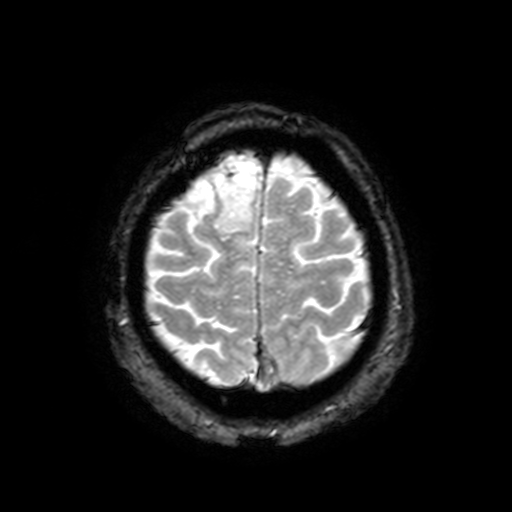
| field | value |
|---|---|
| modality | 3 Tesla brain MRI |
| series | T2-weighted fast field echo with SENSE |
| study | ring-enhancing brain masses |